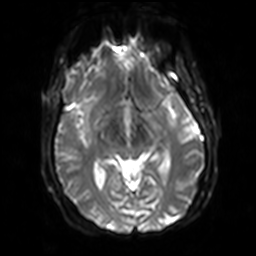
| field | value |
|---|---|
| modality | 3 Tesla brain MRI |
| series | diffusion-weighted imaging with SENSE (WIP) |
| study | ring-enhancing brain masses |